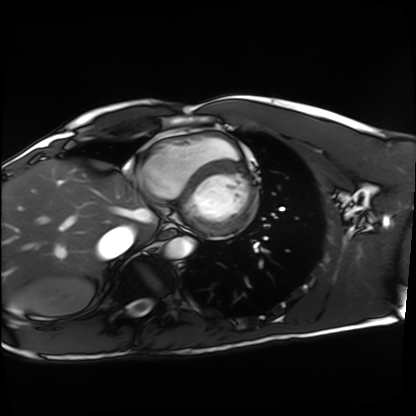
Case:
* modality — cardiac MRI
* subject group — healthy volunteer